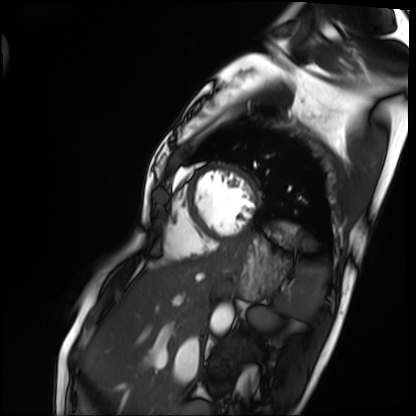
Cardiac MRI.
Subject group: patient.